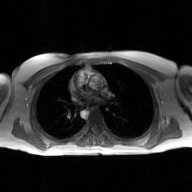
2D phase-contrast cine MRI of the ascending aorta, GAN super-resolution reconstruction.